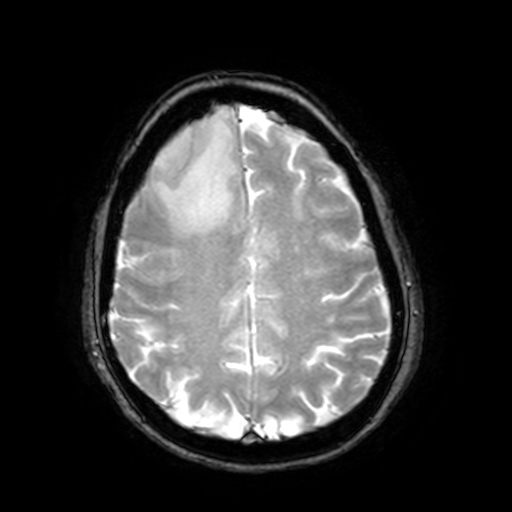
Clinical context: 3 Tesla brain MRI. Series: T2-weighted fast field echo with SENSE. Study: ring-enhancing brain masses.